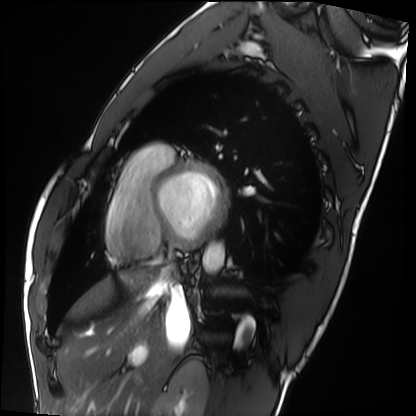
Clinical context:
Cardiac MRI. Subject group: healthy volunteer.